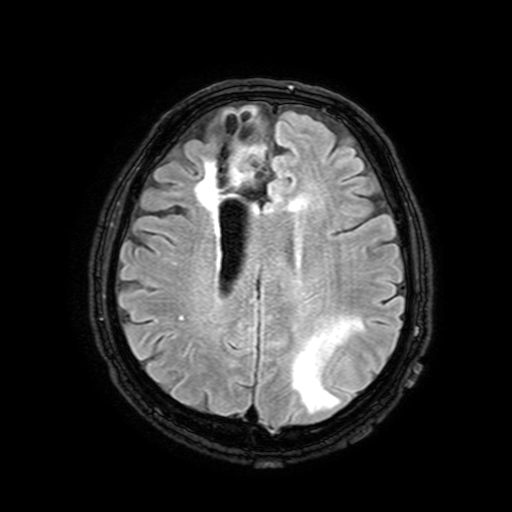
3 Tesla brain MRI.
Series: FLAIR with SPAIR, 3 mm.
Study: ring-enhancing brain masses.